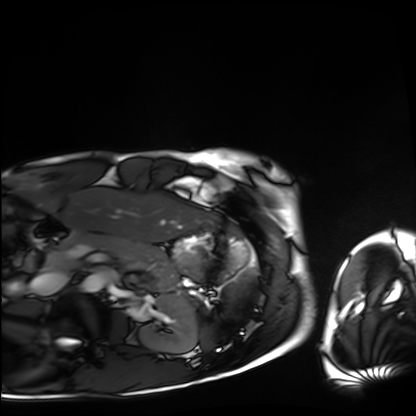
Clinical context: Cardiac MRI. Subject group: healthy volunteer.